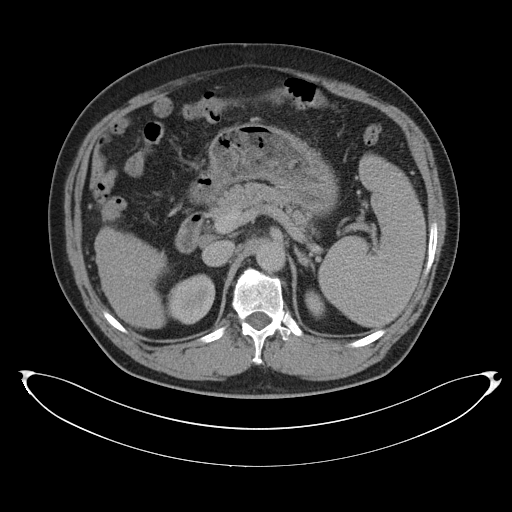
<scan>
<modality>
  <type>multiphase abdominal CT</type>
  <region>liver</region>
  <phase>portal venous</phase>
</modality>
<patient>
  <sex>male</sex>
  <age>58</age>
</patient>
<history>cirrhosis, viral hepatitis</history>
</scan>